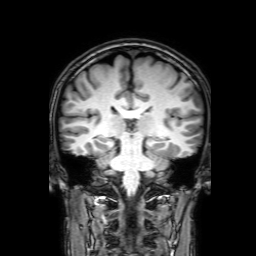
3 Tesla brain MRI. Series: 3D T1-weighted with SENSE. Study: ring-enhancing brain masses.